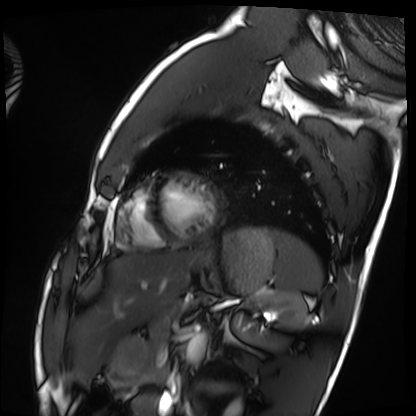
Cardiac MRI.
Subject group: healthy volunteer.